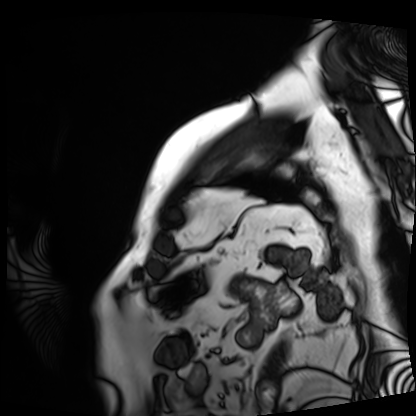
Cardiac MRI.
Subject group: patient.